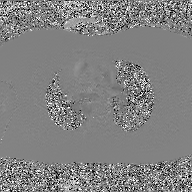
Case:
• modality — 2D phase-contrast cine MRI of the ascending aorta, GAN super-resolution reconstruction